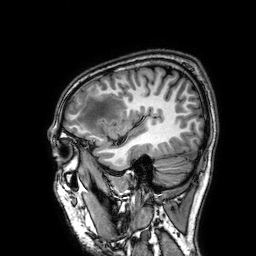
3 Tesla brain MRI.
Series: 3D T1-weighted.
Study: ring-enhancing brain masses.